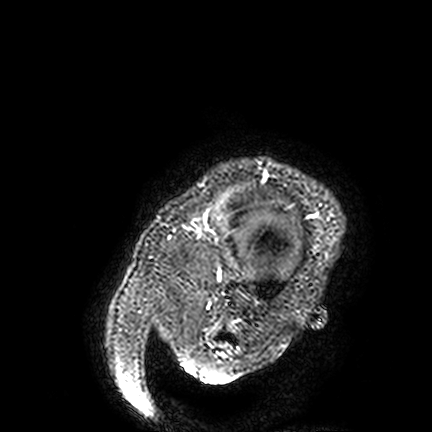
| field | value |
|---|---|
| modality | 3 Tesla brain MRI |
| series | FLAIR VISTA |
| study | ring-enhancing brain masses |